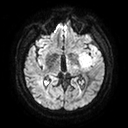
modality — 3 Tesla brain MRI | series — diffusion tensor imaging (medium iso) | study — ring-enhancing brain masses.